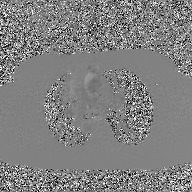
2D phase-contrast cine MRI of the ascending aorta, GAN super-resolution reconstruction.